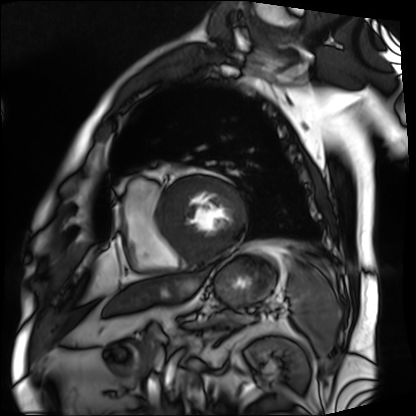
Q: What kind of scan is this?
A: Cardiac MRI.
Subject group: patient.